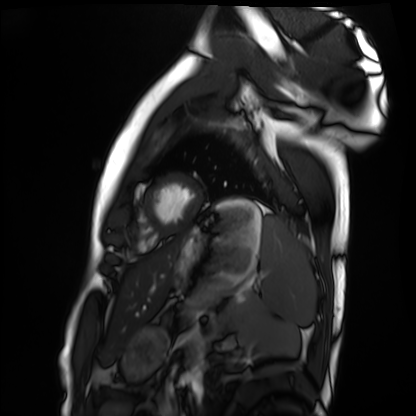
modality=cardiac MRI; subject group=healthy volunteer.